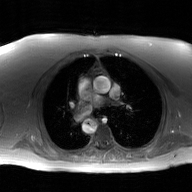
  modality:
    type: 2D phase-contrast cine MRI
    region: ascending aorta
    reconstruction: GAN super-resolution reconstruction